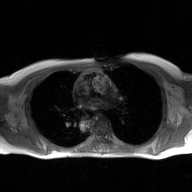
2D phase-contrast cine MRI of the ascending aorta, GAN super-resolution reconstruction.